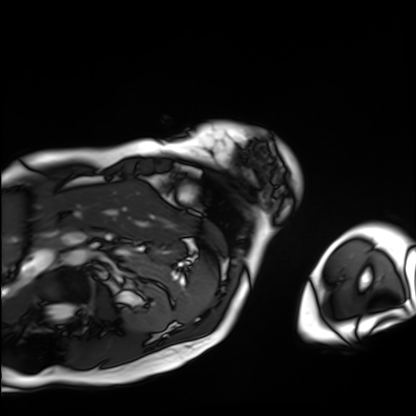
Q: What kind of scan is this?
A: Cardiac MRI.
Subject group: patient.